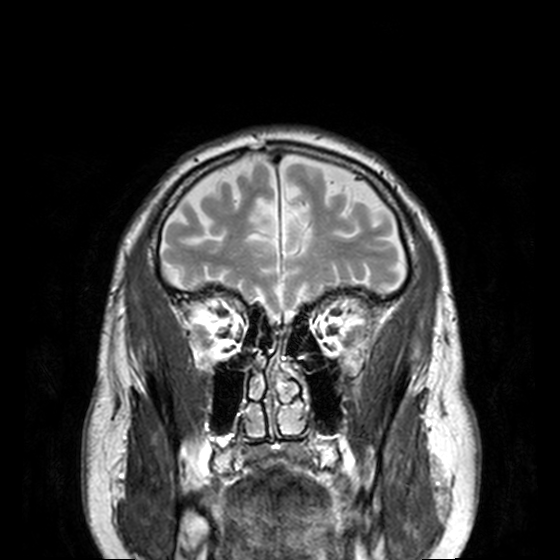
* modality: 3 Tesla brain MRI
* series: T2-weighted turbo spin echo, 3 mm
* study: ring-enhancing brain masses